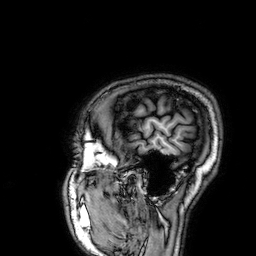
3 Tesla brain MRI. Series: 3D T1-weighted. Study: ring-enhancing brain masses.